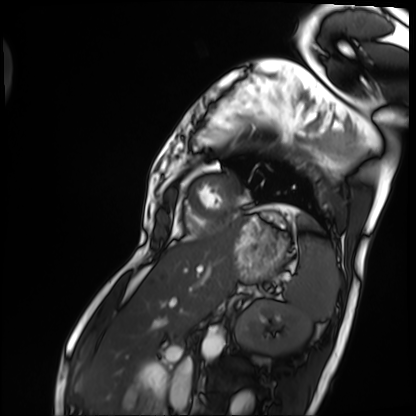
Case summary: Cardiac MRI. Subject group: patient.